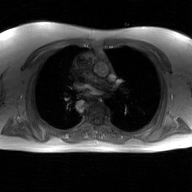
Summary:
2D phase-contrast cine MRI of the ascending aorta, GAN super-resolution reconstruction.